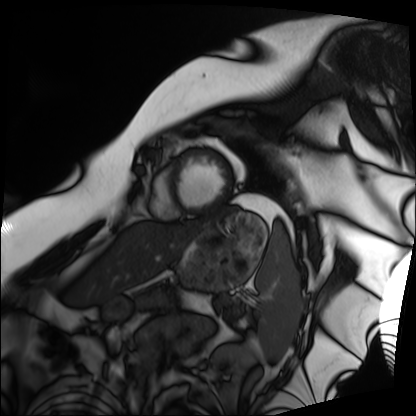
- modality — cardiac MRI
- subject group — patient